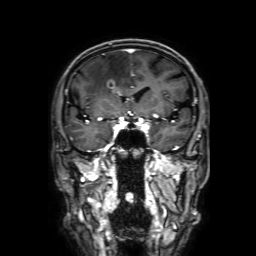
Clinical context: 3 Tesla brain MRI. Series: 3D T1-weighted with SENSE. Study: ring-enhancing brain masses.